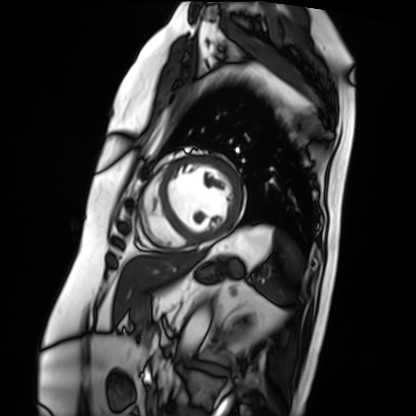
modality: cardiac MRI
cohort: patient